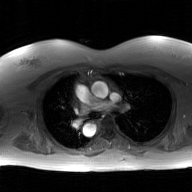
Case summary: 2D phase-contrast cine MRI of the ascending aorta, GAN super-resolution reconstruction.